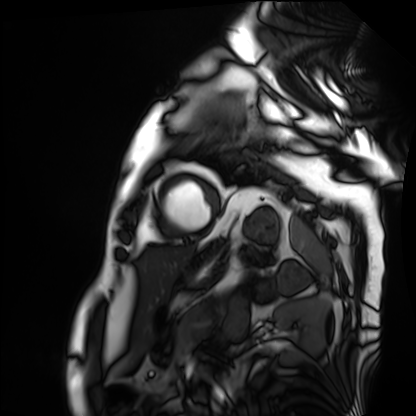
Cardiac MRI.
Subject group: patient.